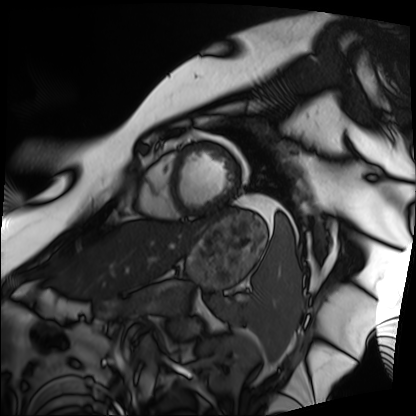
Summary: Cardiac MRI. Subject group: patient.